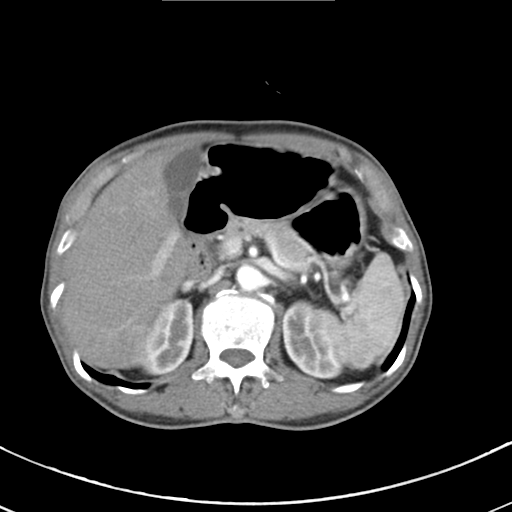
Q: What kind of scan is this?
A: Multiphase abdominal CT, liver, arterial phase.